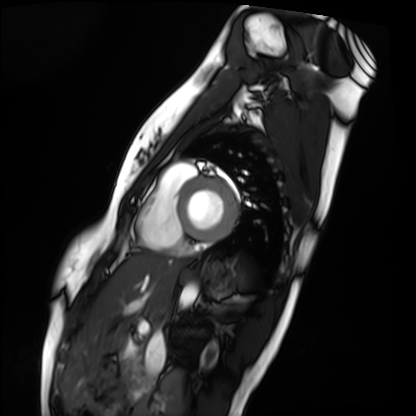
Cardiac MRI.
Subject group: healthy volunteer.